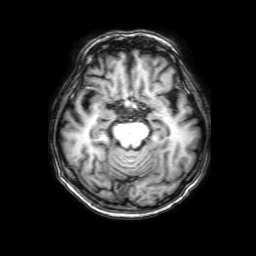
| field | value |
|---|---|
| modality | 3 Tesla brain MRI |
| series | 3D T1-weighted with SENSE |
| study | ring-enhancing brain masses |